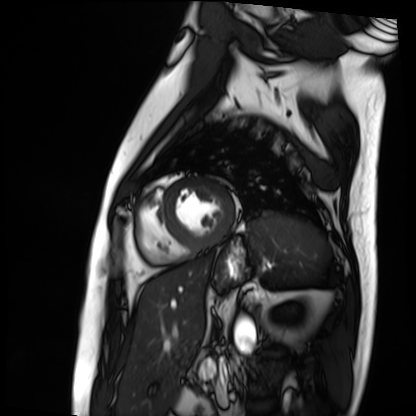
{
  "modality": "cardiac MRI",
  "cohort": "patient"
}